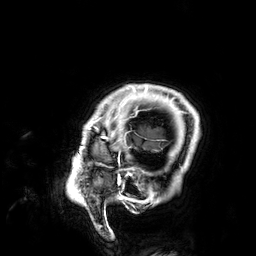
Clinical context: 3 Tesla brain MRI. Series: 3D T1-weighted. Study: ring-enhancing brain masses.